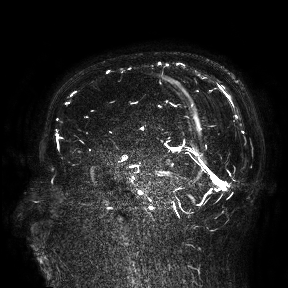
3 Tesla brain MRI. Study: ring-enhancing brain masses.